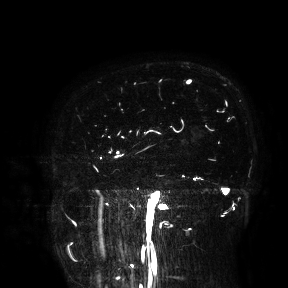
Q: What kind of scan is this?
A: 3 Tesla brain MRI.
Study: ring-enhancing brain masses.